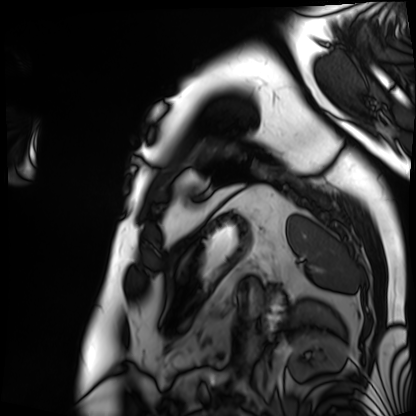
* modality — cardiac MRI
* subject group — patient